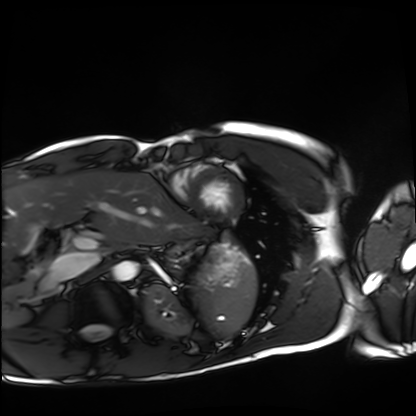
- modality: cardiac MRI
- subject group: healthy volunteer